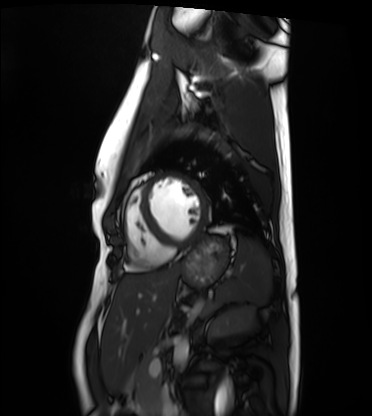
modality=cardiac MRI; subject group=healthy volunteer.